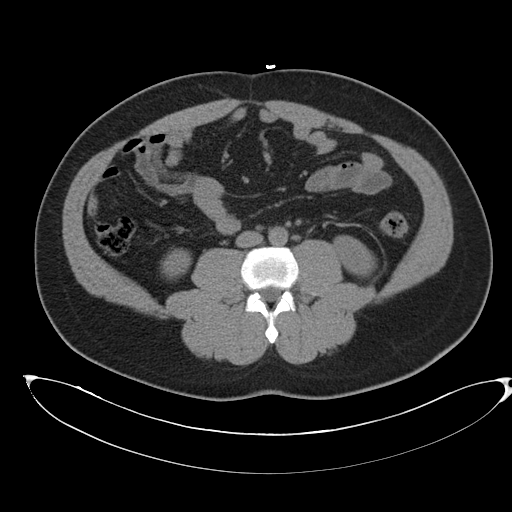
Multiphase abdominal CT, liver, non-contrast phase.
Patient: male, age 43.
History: cirrhosis, viral hepatitis.